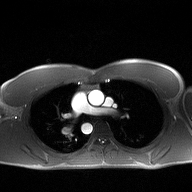
modality = 2D phase-contrast cine MRI of the ascending aorta